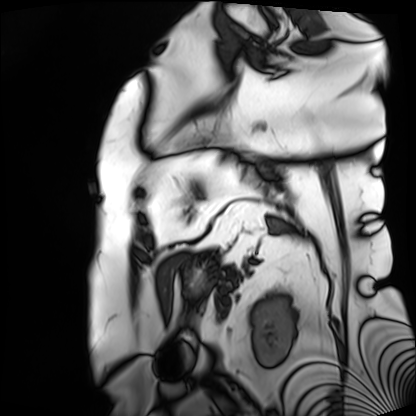
modality = cardiac MRI; subject group = patient.